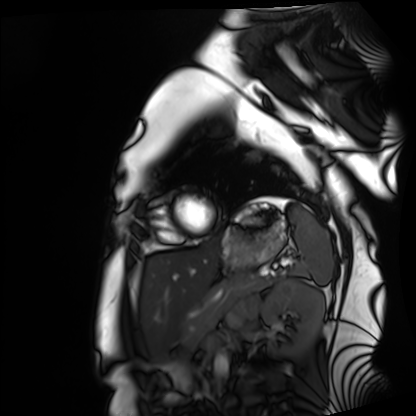
Case summary: Cardiac MRI. Subject group: healthy volunteer.